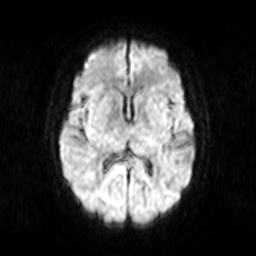
3 Tesla brain MRI. Series: diffusion-weighted imaging. Study: ring-enhancing brain masses.